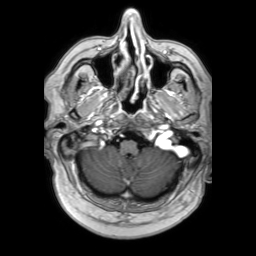
Clinical context: 3 Tesla brain MRI. Study: ring-enhancing brain masses.